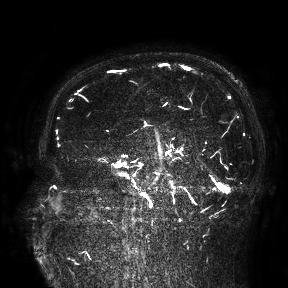
3 Tesla brain MRI. Study: ring-enhancing brain masses.